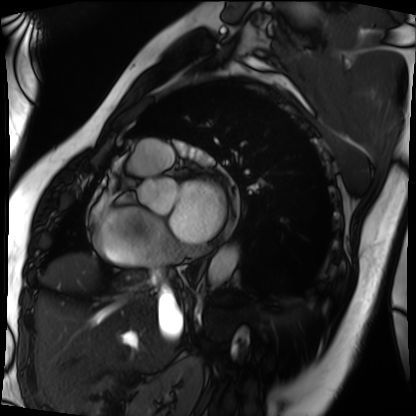
modality: cardiac MRI, subject group: patient.